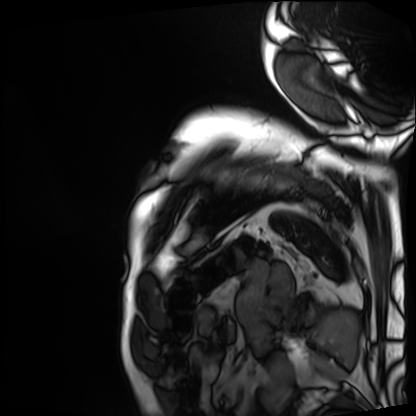
Cardiac MRI. Subject group: patient.